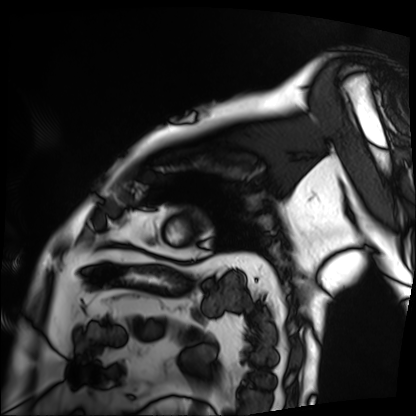
  modality: cardiac MRI
  cohort: patient